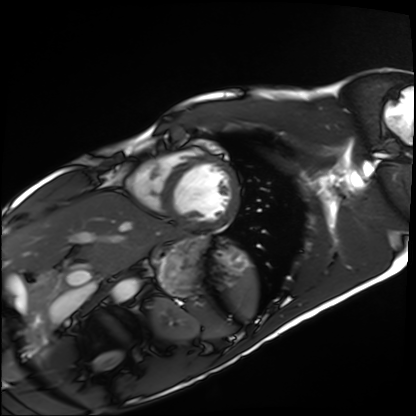
Cardiac MRI. Subject group: healthy volunteer.